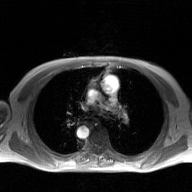
2D phase-contrast cine MRI of the ascending aorta, GAN super-resolution reconstruction.